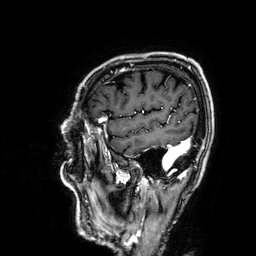
3 Tesla brain MRI.
Series: 3D T1-weighted.
Study: ring-enhancing brain masses.